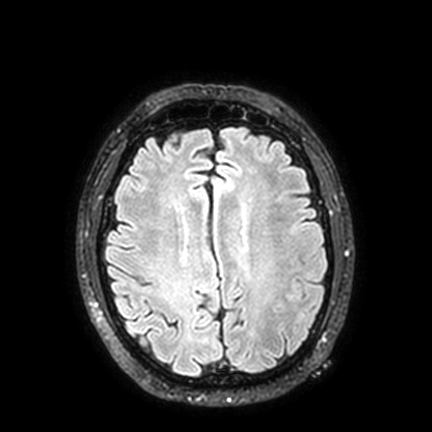
* modality — 3 Tesla brain MRI
* series — FLAIR VISTA with SENSE
* study — ring-enhancing brain masses